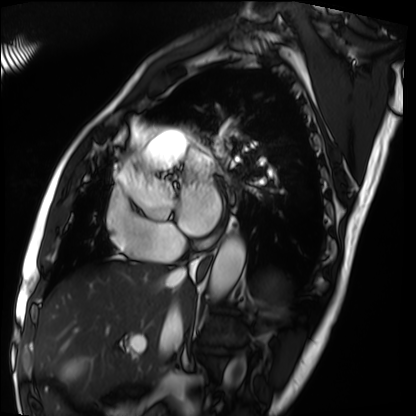
Clinical context:
Cardiac MRI. Subject group: patient.